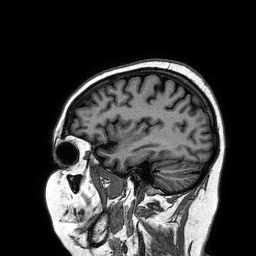
modality=3 Tesla brain MRI
series=3D T1-weighted turbo field echo
study=ring-enhancing brain masses